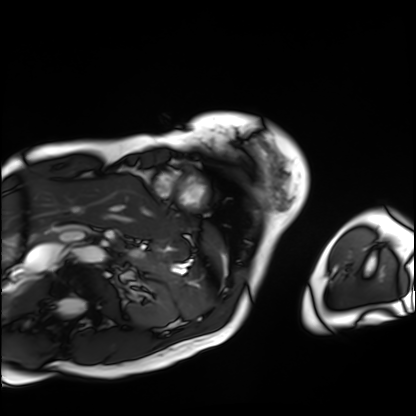
Cardiac MRI. Subject group: patient.